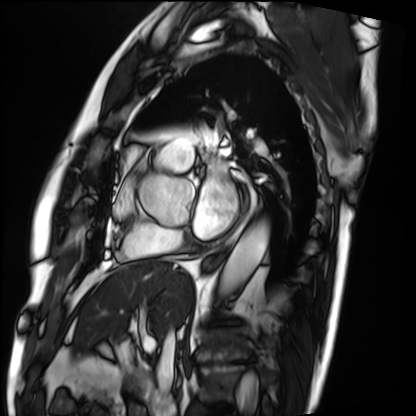
Summary:
Cardiac MRI. Subject group: patient.